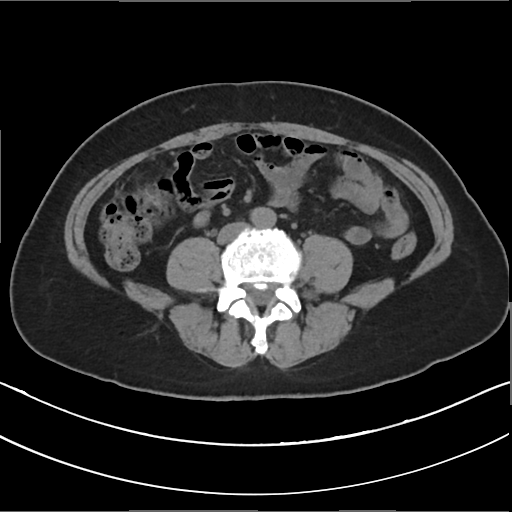
Multiphase abdominal CT, liver, non-contrast phase.
Patient: female, age 54.